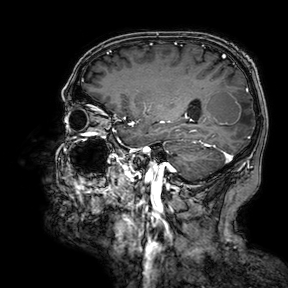
{"modality": {"type": "brain MRI", "field_strength": "3T"}, "study_topic": "ring-enhancing brain masses"}